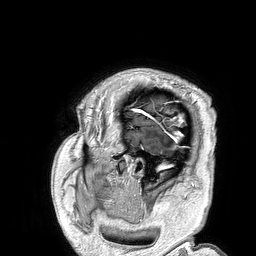
3 Tesla brain MRI. Series: 3D T1-weighted turbo field echo. Study: ring-enhancing brain masses.